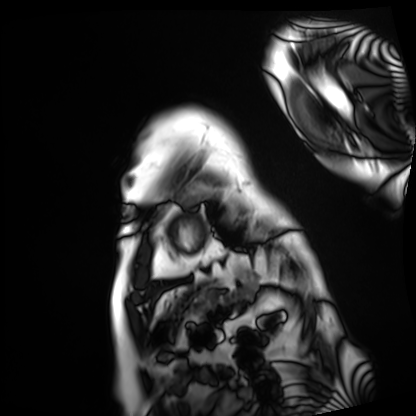
| field | value |
|---|---|
| modality | cardiac MRI |
| subject group | patient |